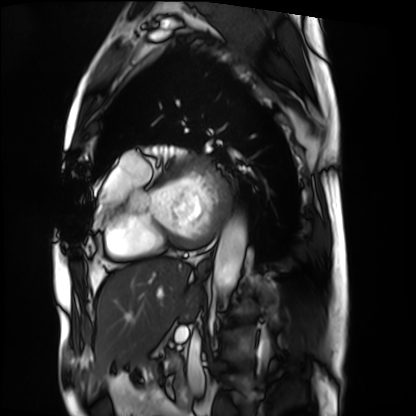
modality: cardiac MRI
subject group: patient